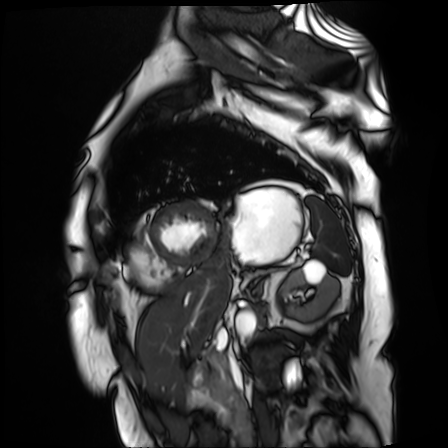
<case>
  <modality>cardiac MR image of the myocardium</modality>
  <cohort>cardiac patient</cohort>
</case>